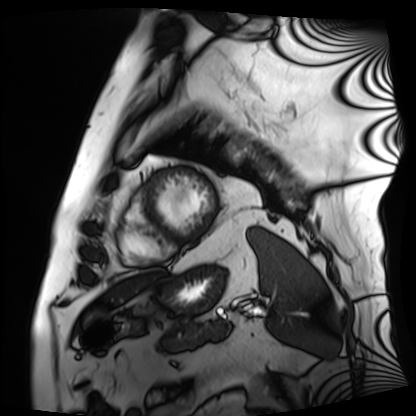
Clinical context: Cardiac MRI. Subject group: patient.